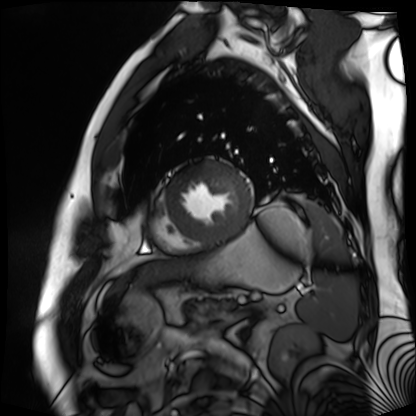
modality: cardiac MR image of the myocardium; subject cohort: cardiac patient.